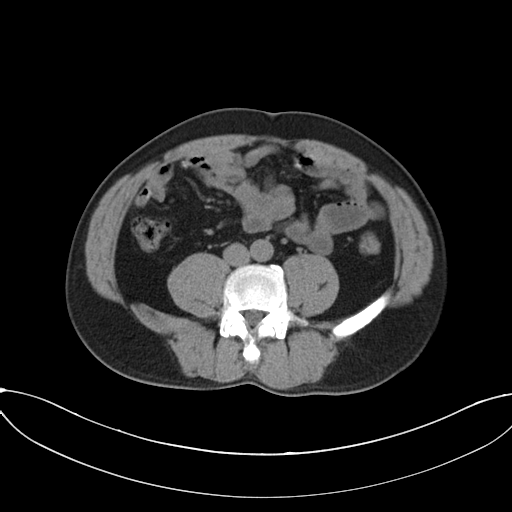
Q: What kind of scan is this?
A: Multiphase abdominal CT, liver, non-contrast phase.
Q: Patient?
A: Male, age 50.
Q: History?
A: Prior chemotherapy.